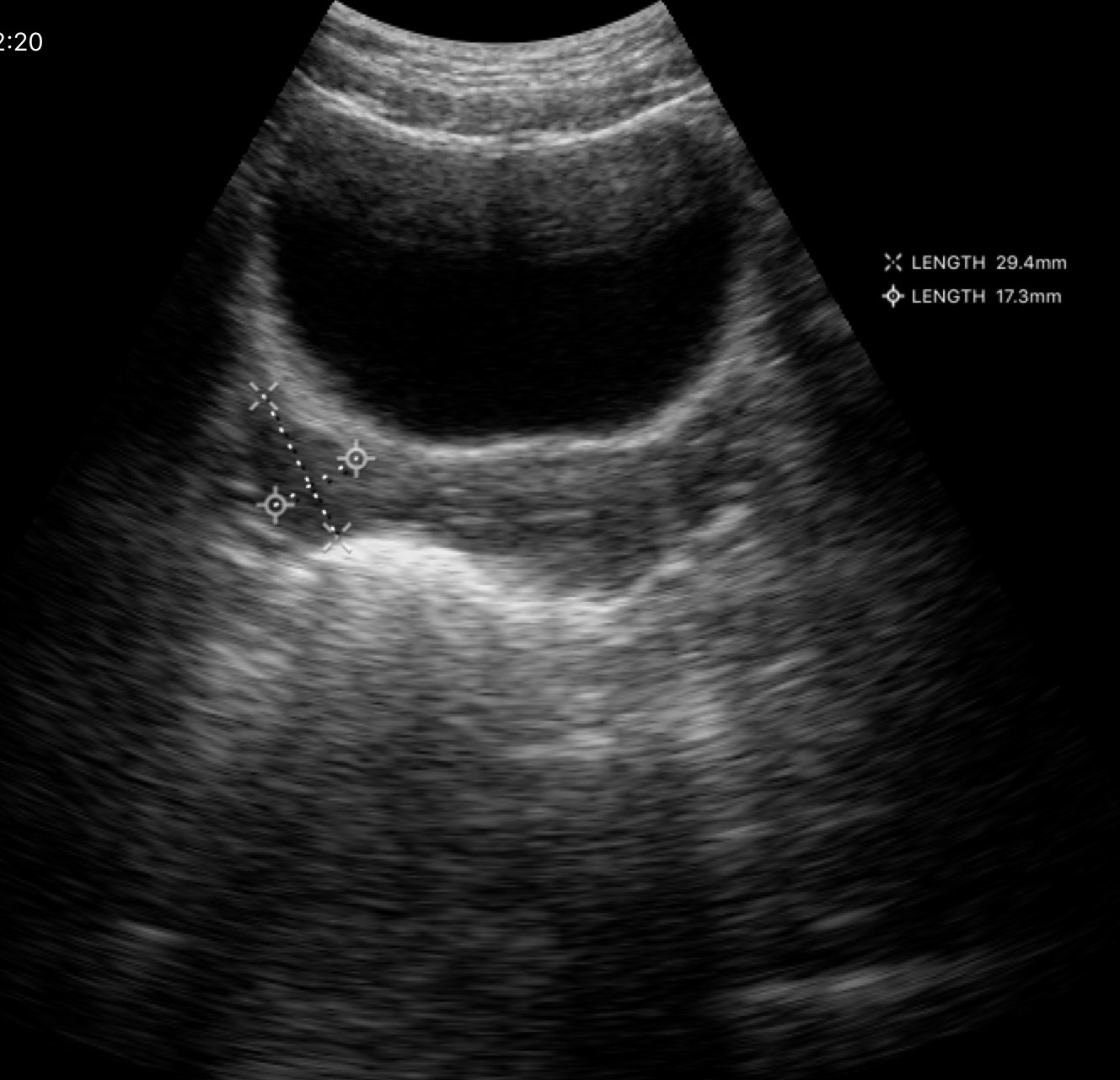
Genitourinary ultrasound.